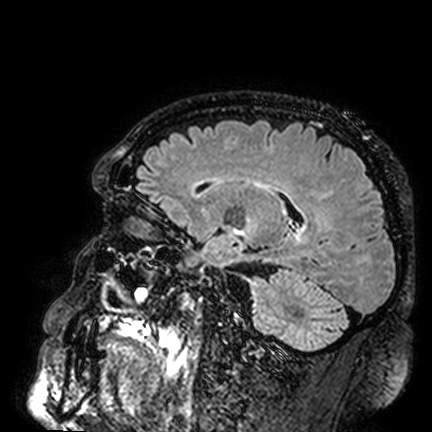
Summary:
3 Tesla brain MRI. Series: FLAIR VISTA. Study: ring-enhancing brain masses.